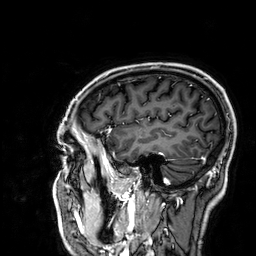
modality: 3 Tesla brain MRI
series: 3D T1-weighted
study: ring-enhancing brain masses